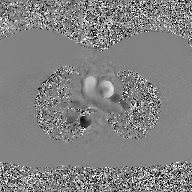
Case summary:
2D phase-contrast cine MRI of the ascending aorta, GAN super-resolution reconstruction.